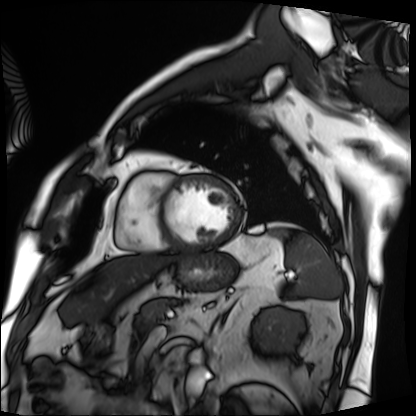
Case summary: Cardiac MRI. Subject group: patient.